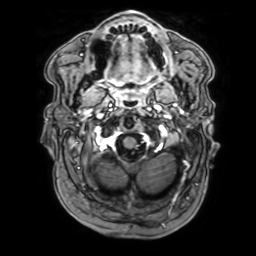
3 Tesla brain MRI. Series: 3D T1-weighted with SENSE. Study: ring-enhancing brain masses.